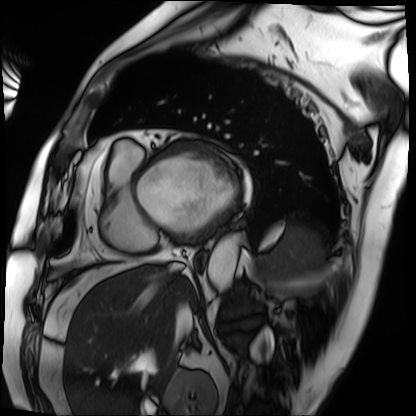
modality = cardiac MRI, subject group = patient.